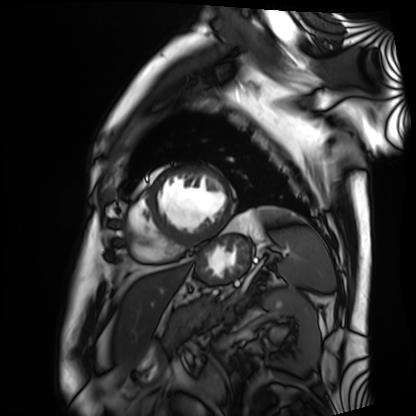
modality=cardiac MRI | subject group=patient.